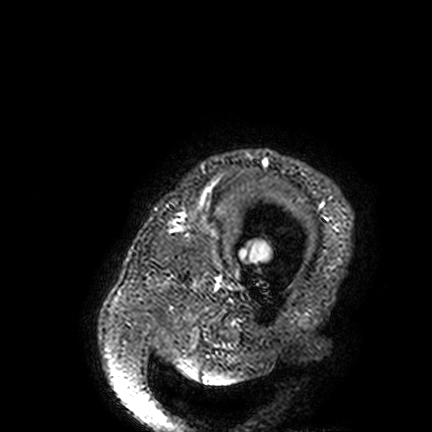
Clinical context:
3 Tesla brain MRI. Series: FLAIR VISTA. Study: ring-enhancing brain masses.